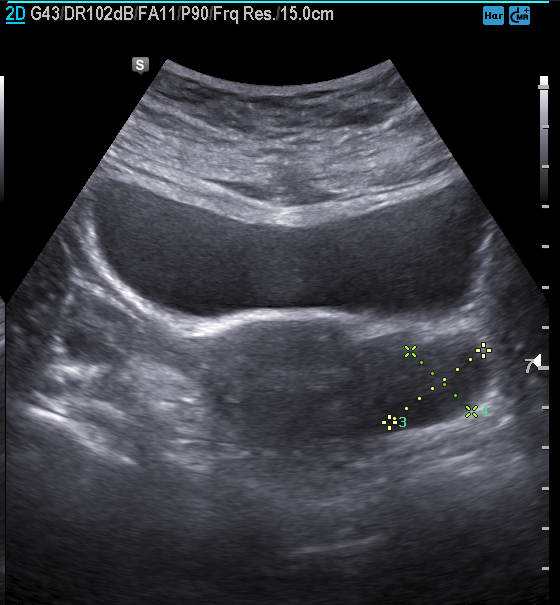
{
  "modality": {
    "type": "genitourinary ultrasound"
  }
}